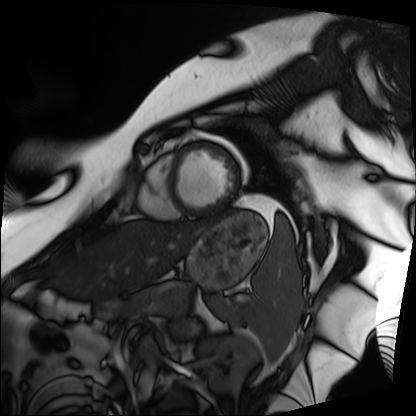
Cardiac MRI.
Subject group: patient.